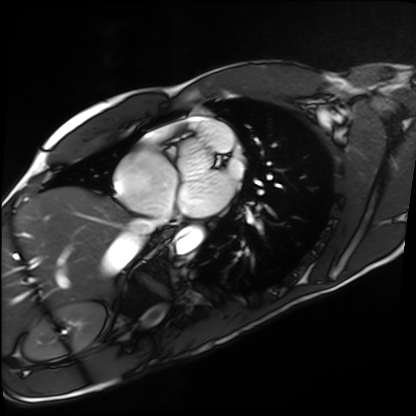
Cardiac MRI. Subject group: healthy volunteer.